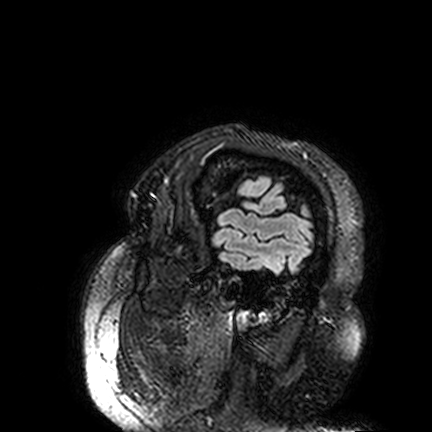
3 Tesla brain MRI.
Series: FLAIR VISTA.
Study: ring-enhancing brain masses.